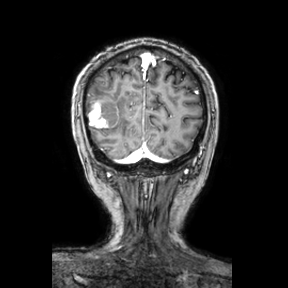
3 Tesla brain MRI.
Series: coronal.
Study: ring-enhancing brain masses.